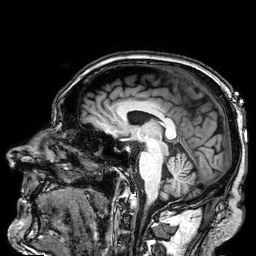
modality = 3 Tesla brain MRI; series = 3D T1-weighted; study = ring-enhancing brain masses.